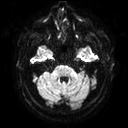
3 Tesla brain MRI. Series: diffusion tensor imaging (medium iso). Study: ring-enhancing brain masses.